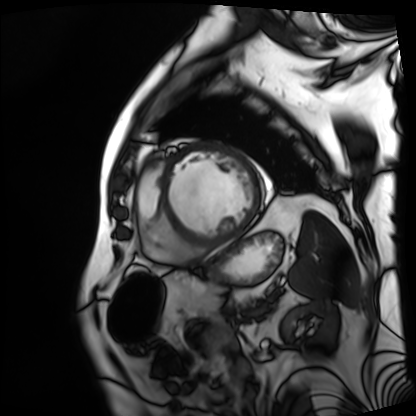
Cardiac MRI.
Subject group: patient.